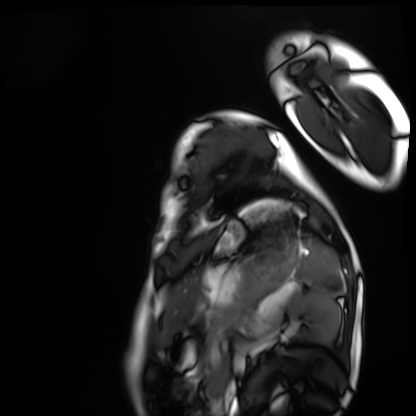
{
  "modality": "cardiac MRI",
  "cohort": "healthy volunteer"
}